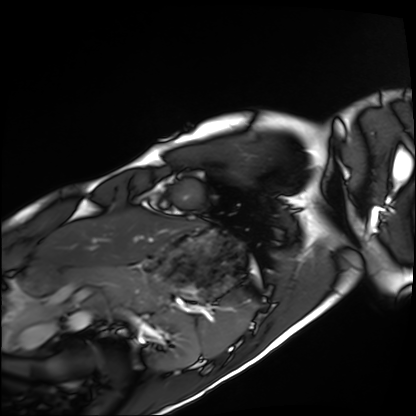
Q: What kind of scan is this?
A: Cardiac MRI.
Subject group: healthy volunteer.